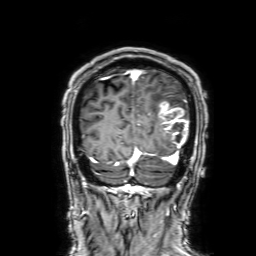
Summary: 3 Tesla brain MRI. Series: 3D T1-weighted with SENSE. Study: ring-enhancing brain masses.